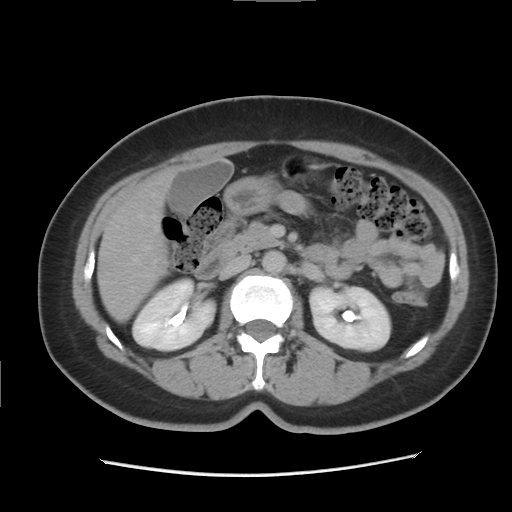
{"modality": {"type": "multiphase abdominal CT", "region": "liver", "phase": "delayed"}, "patient": {"sex": "female", "age": 46}, "history": ["prior chemotherapy"]}